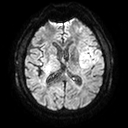
3 Tesla brain MRI. Series: diffusion tensor imaging (medium iso). Study: ring-enhancing brain masses.